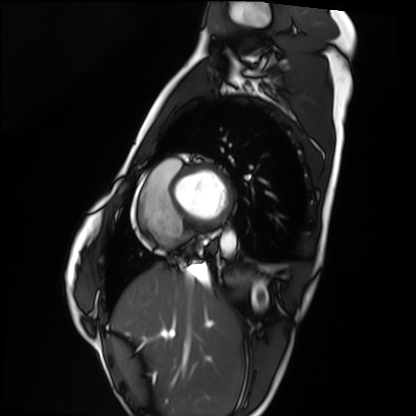
Cardiac MRI.
Subject group: healthy volunteer.